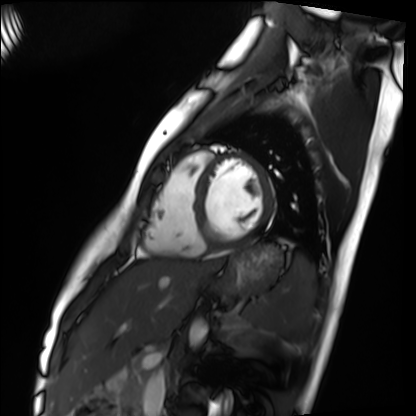
Cardiac MRI.
Subject group: healthy volunteer.